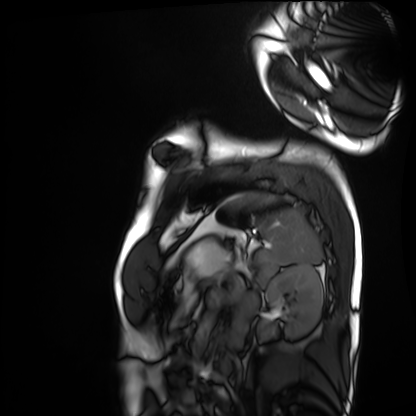
Summary:
Cardiac MRI. Subject group: healthy volunteer.